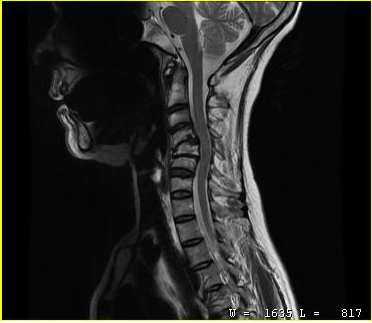
modality: MRI of the cervical spine
study: cervical spondylosis